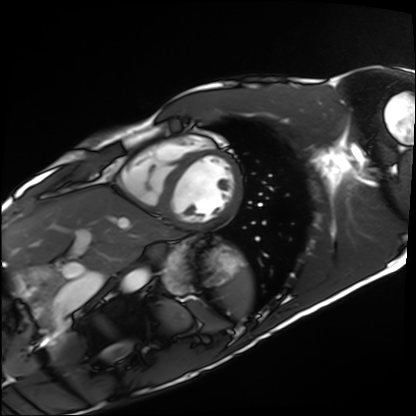
Clinical context: Cardiac MRI. Subject group: healthy volunteer.